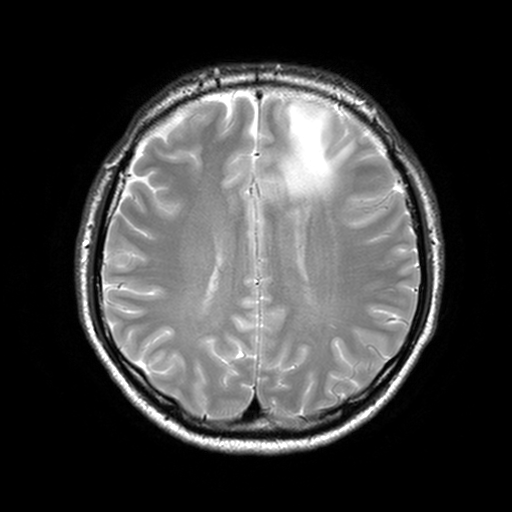
Case summary: 3 Tesla brain MRI. Series: T2-weighted turbo spin echo, 3 mm. Study: ring-enhancing brain masses.